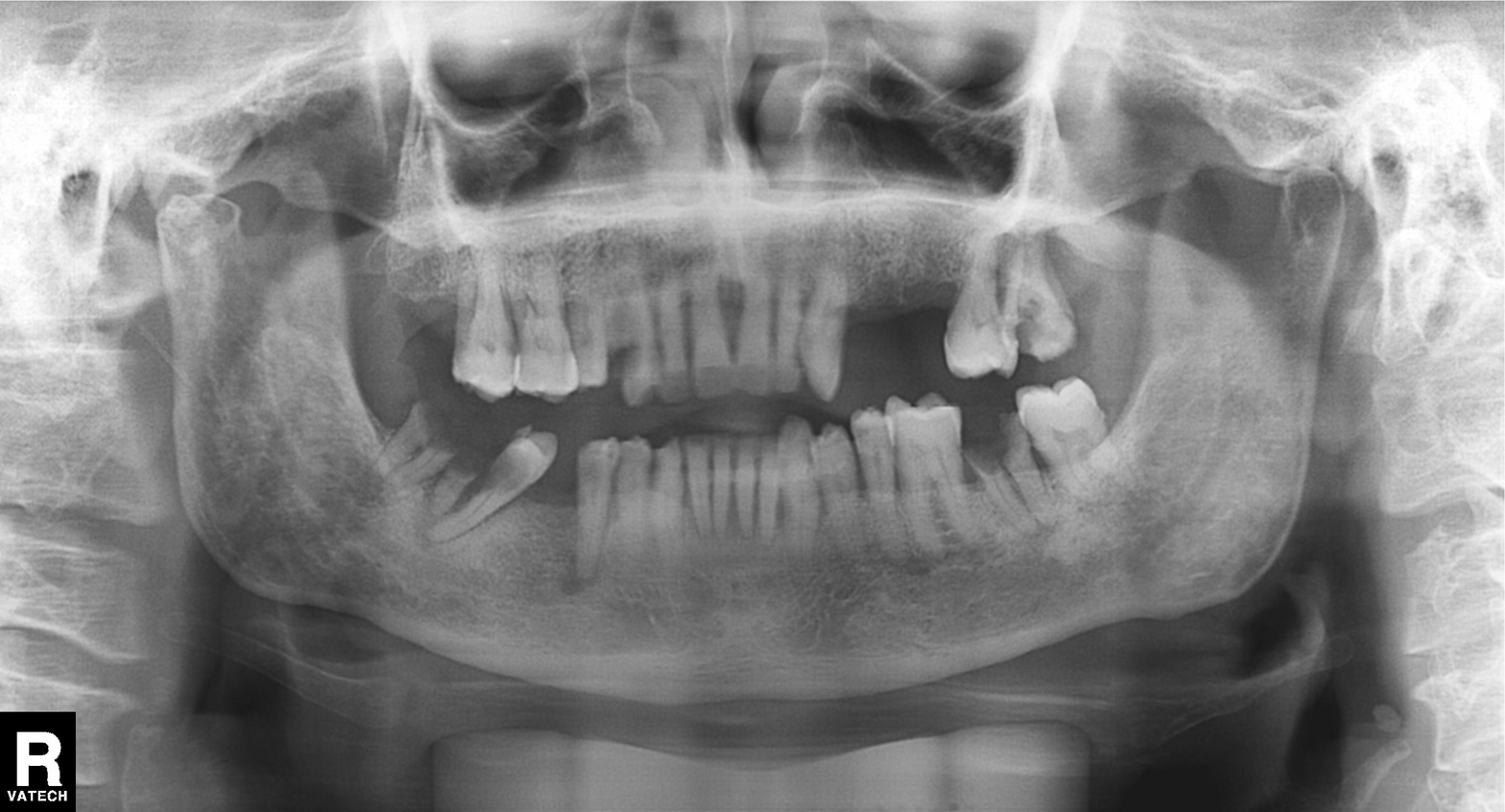
Summary:
Panoramic dental radiograph (orthopantomogram).
Conclusion:
Tooth impaction.